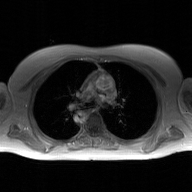
modality: 2D phase-contrast cine MRI of the ascending aorta, GAN super-resolution reconstruction.